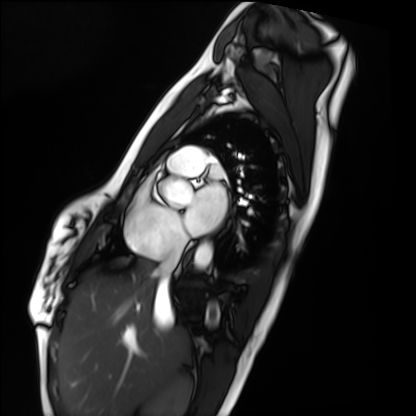
Summary: Cardiac MRI. Subject group: healthy volunteer.